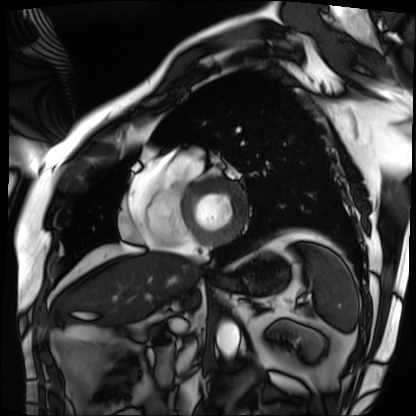
Cardiac MRI.
Subject group: patient.